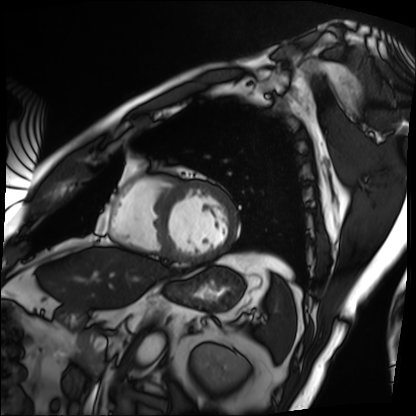
Summary: Cardiac MRI. Subject group: patient.